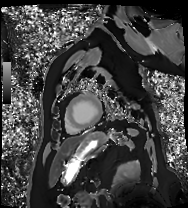
Q: What kind of scan is this?
A: Cardiac MRI.
Subject group: patient.